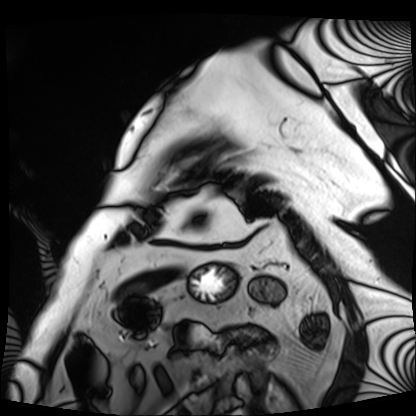
{
  "modality": "cardiac MRI",
  "cohort": "patient"
}